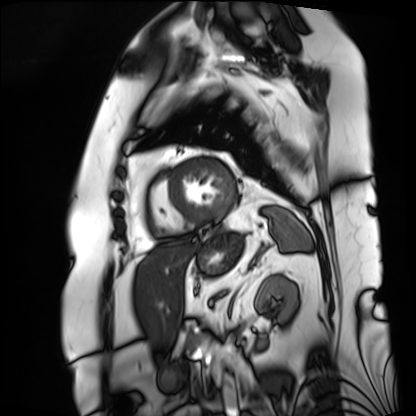
modality=cardiac MRI | subject group=patient.